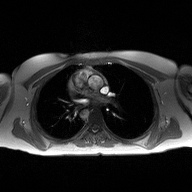
modality: 2D phase-contrast cine MRI of the ascending aorta.